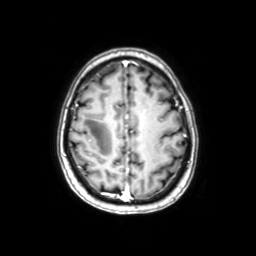
modality = 3 Tesla brain MRI; series = axial with contrast; study = ring-enhancing brain masses.